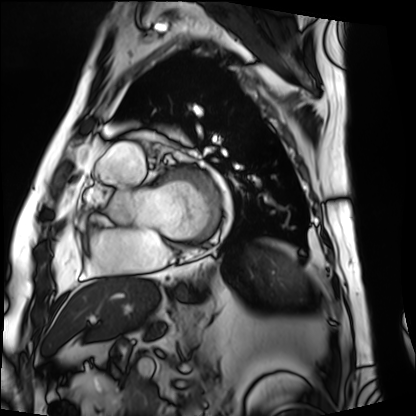
modality: cardiac MRI
subject group: patient